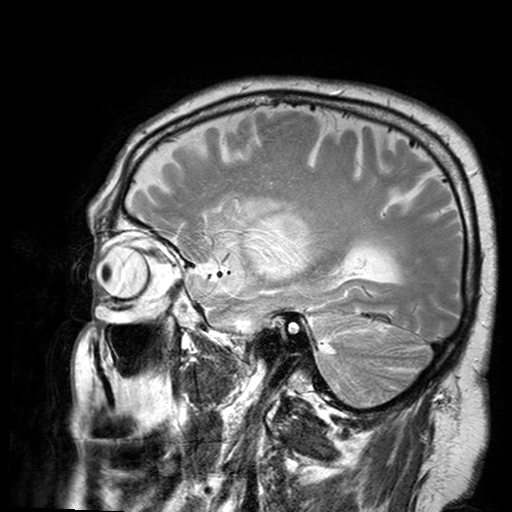
Summary:
3 Tesla brain MRI. Series: T2-weighted turbo spin echo with SENSE. Study: ring-enhancing brain masses.